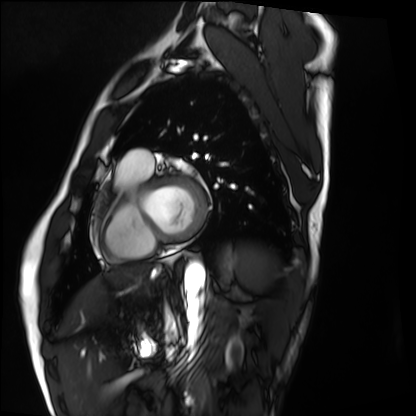
Summary:
Cardiac MRI. Subject group: healthy volunteer.